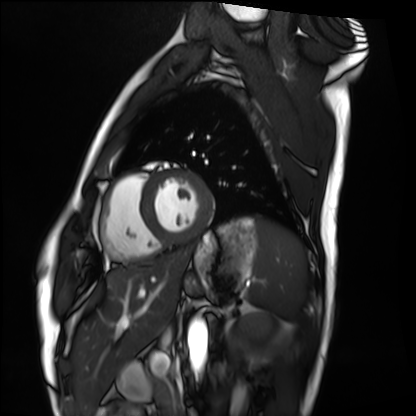
| field | value |
|---|---|
| modality | cardiac MRI |
| subject group | healthy volunteer |